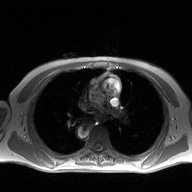
modality = 2D phase-contrast cine MRI of the ascending aorta